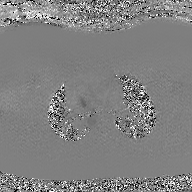
| field | value |
|---|---|
| modality | 2D phase-contrast cine MRI of the ascending aorta, GAN super-resolution reconstruction |